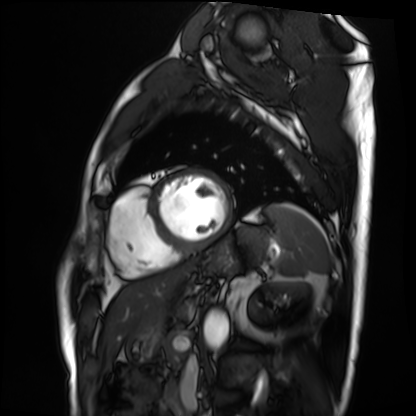
Cardiac MRI. Subject group: patient.